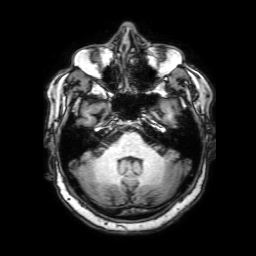
modality:
  type: brain MRI
  field_strength: 3T
series: 3D T1-weighted with SENSE
study_topic: ring-enhancing brain masses